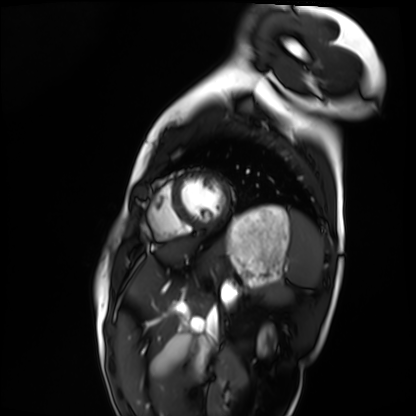
Q: What kind of scan is this?
A: Cardiac MRI.
Subject group: healthy volunteer.